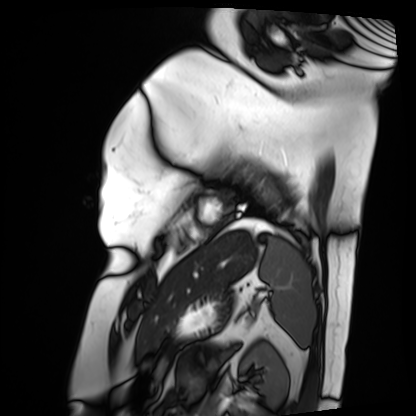
modality = cardiac MRI, subject group = patient.